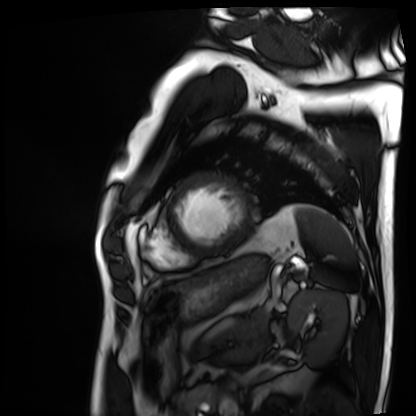
Cardiac MRI. Subject group: patient.